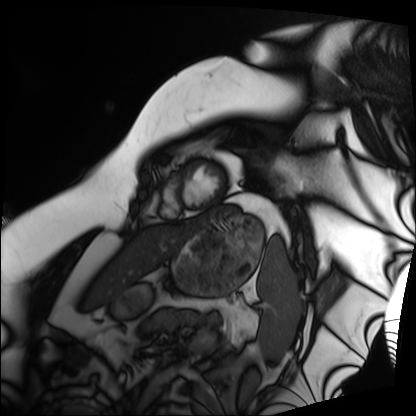
Cardiac MRI. Subject group: patient.